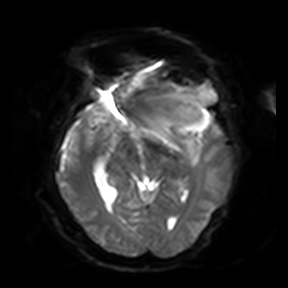
modality=3 Tesla brain MRI | series=diffusion-weighted imaging | study=ring-enhancing brain masses.